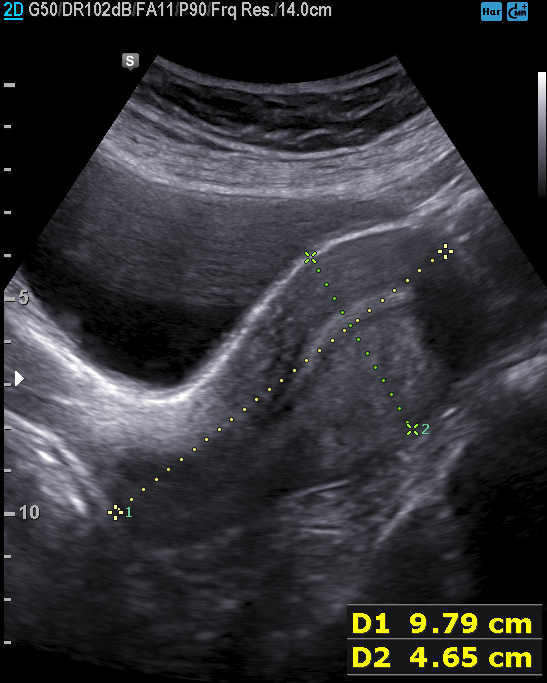
Genitourinary ultrasound.